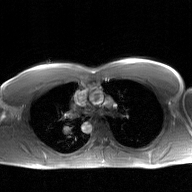
modality: 2D phase-contrast cine MRI of the ascending aorta, GAN super-resolution reconstruction.